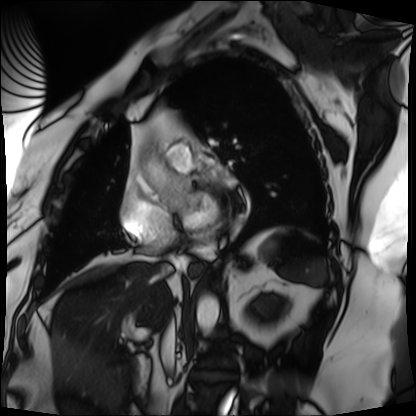
Cardiac MRI. Subject group: patient.